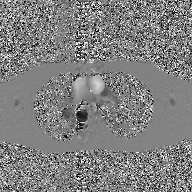
2D phase-contrast cine MRI of the ascending aorta, GAN super-resolution reconstruction.